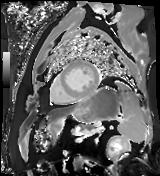
  modality: cardiac MR image of the myocardium
  cohort: cardiac patient